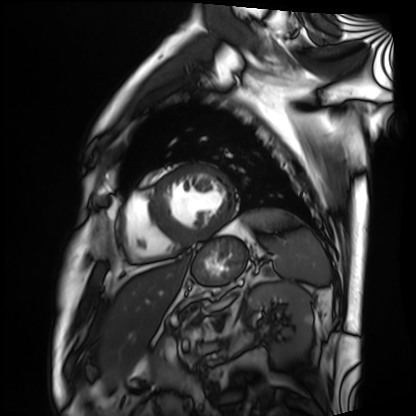
Cardiac MRI.
Subject group: patient.